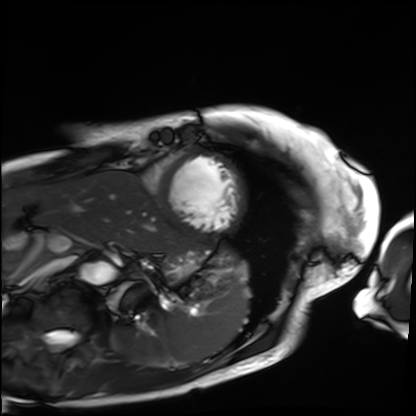
modality = cardiac MRI
subject group = patient